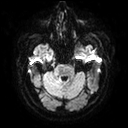
3 Tesla brain MRI. Series: diffusion tensor imaging (medium iso). Study: ring-enhancing brain masses.